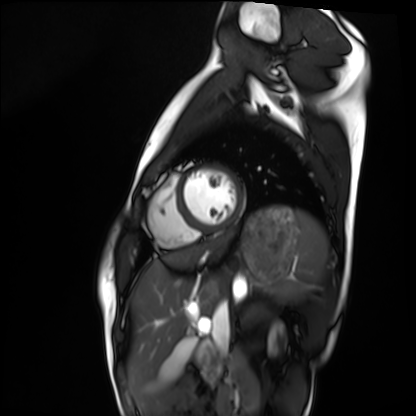
| field | value |
|---|---|
| modality | cardiac MRI |
| subject group | healthy volunteer |